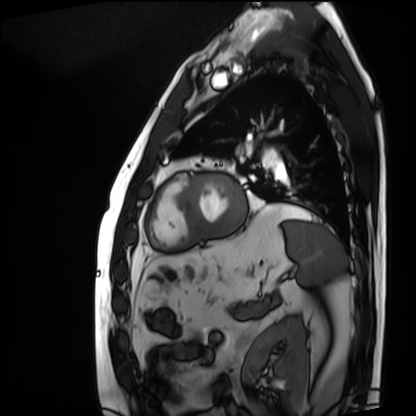
{
  "modality": "cardiac MRI",
  "cohort": "patient"
}